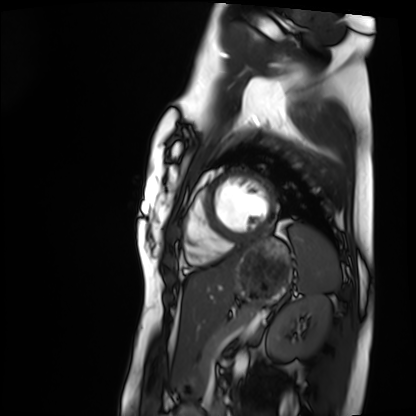
Clinical context: Cardiac MRI. Subject group: healthy volunteer.